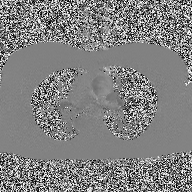
2D phase-contrast cine MRI of the ascending aorta, high-resolution GRAPPA acquisition.